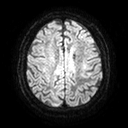
modality=3 Tesla brain MRI | series=diffusion tensor imaging (medium iso) | study=ring-enhancing brain masses.